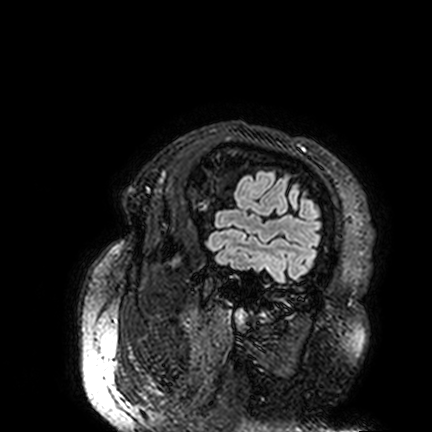
3 Tesla brain MRI. Series: FLAIR VISTA. Study: ring-enhancing brain masses.